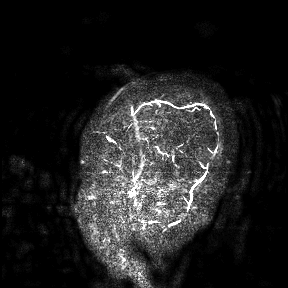
3 Tesla brain MRI. Study: ring-enhancing brain masses.